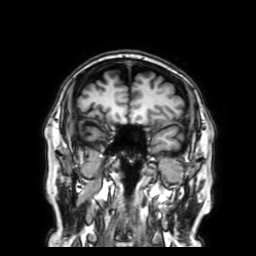
3 Tesla brain MRI. Series: 3D T1-weighted with SENSE. Study: ring-enhancing brain masses.